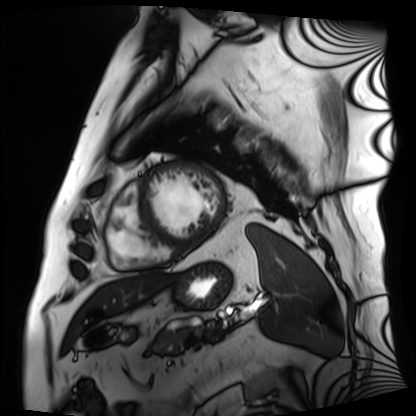
Summary: Cardiac MRI. Subject group: patient.